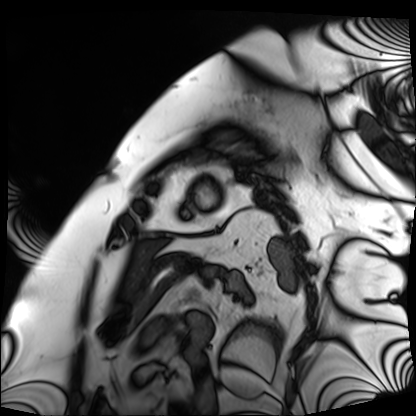
Summary: Cardiac MRI. Subject group: patient.